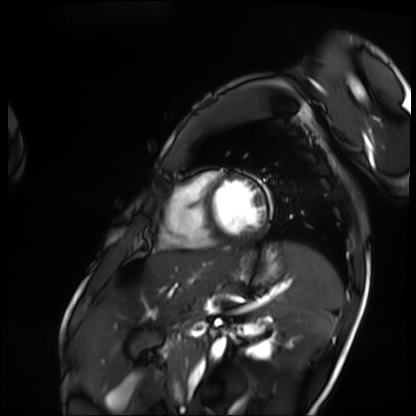
Cardiac MRI.
Subject group: patient.